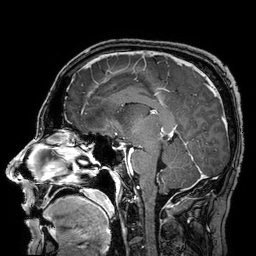
modality = 3 Tesla brain MRI; series = 3D T1-weighted turbo field echo with SENSE; study = ring-enhancing brain masses.